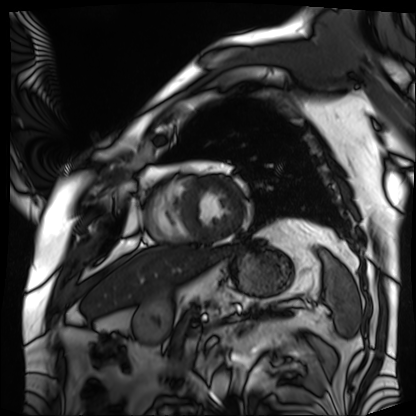
Cardiac MRI. Subject group: patient.